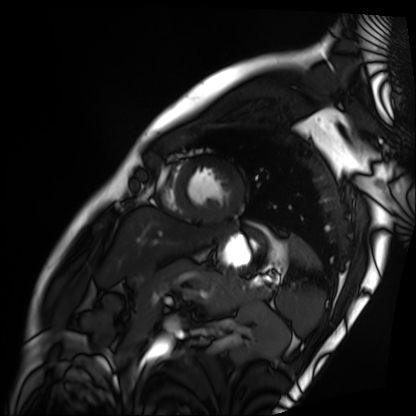
  modality: cardiac MRI
  cohort: patient